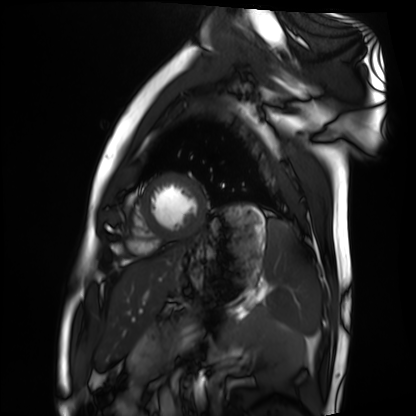
Cardiac MRI. Subject group: healthy volunteer.